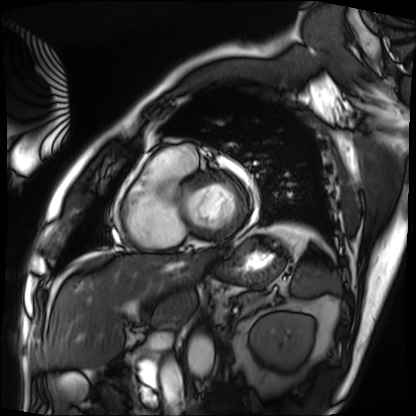
Q: What kind of scan is this?
A: Cardiac MRI.
Subject group: patient.